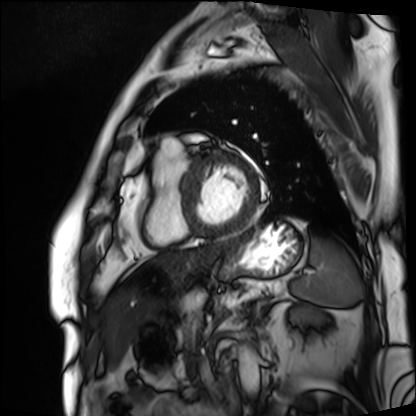
modality — cardiac MRI; subject group — patient.